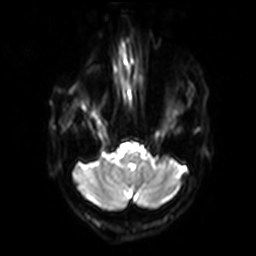
Summary: 3 Tesla brain MRI. Series: diffusion-weighted imaging with SENSE (WIP). Study: ring-enhancing brain masses.